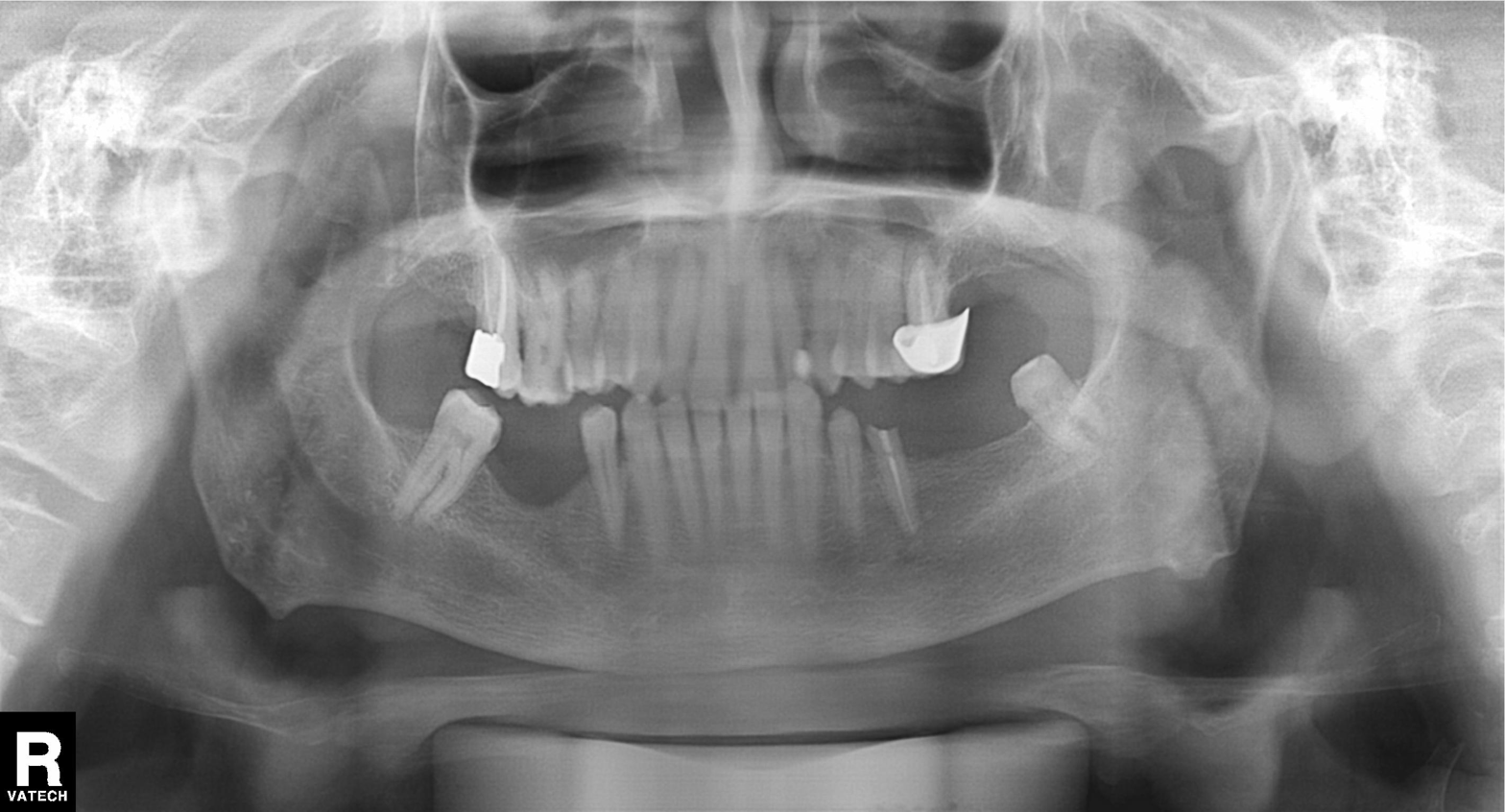
Case summary: Panoramic dental radiograph (orthopantomogram).
Conclusion: Dental caries (cavities).